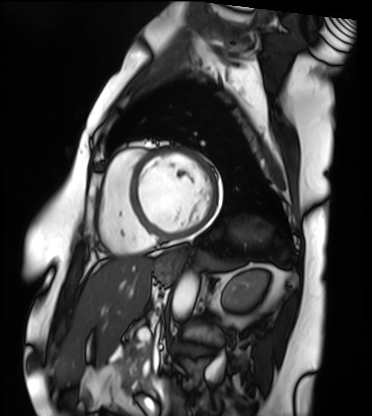
Cardiac MRI. Subject group: patient.